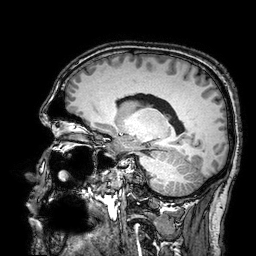
modality = 3 Tesla brain MRI; series = 3D T1-weighted turbo field echo with SENSE; study = ring-enhancing brain masses.